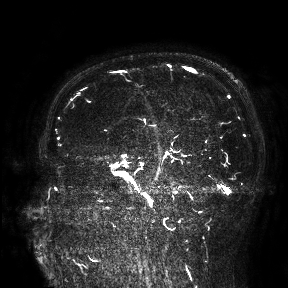
Case summary:
3 Tesla brain MRI. Study: ring-enhancing brain masses.